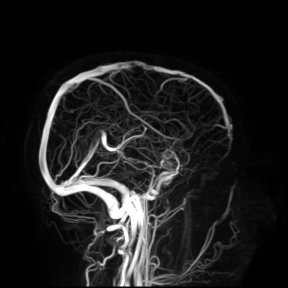
3 Tesla brain MRI. Study: ring-enhancing brain masses.